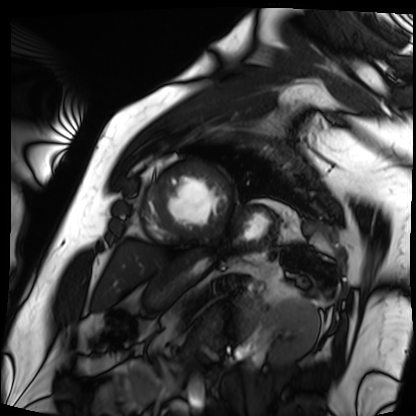
modality = cardiac MRI; subject group = patient.